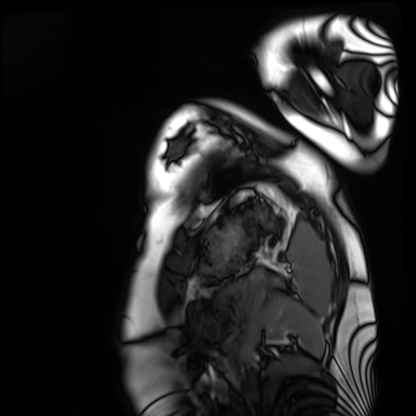
modality: cardiac MRI; subject group: healthy volunteer.